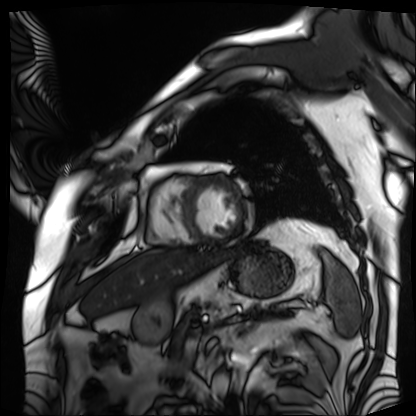
modality — cardiac MRI | subject group — patient.